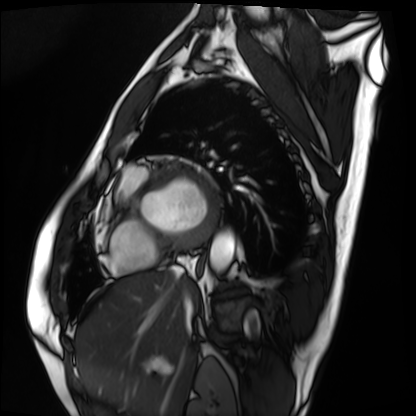
modality: cardiac MRI
subject group: patient